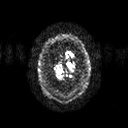
Clinical context: 3 Tesla brain MRI. Series: diffusion tensor imaging (medium iso). Study: ring-enhancing brain masses.